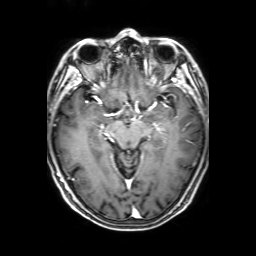
modality = 3 Tesla brain MRI; series = 3D T1-weighted with SENSE; study = ring-enhancing brain masses.